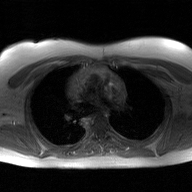
modality: 2D phase-contrast cine MRI of the ascending aorta, GAN super-resolution reconstruction